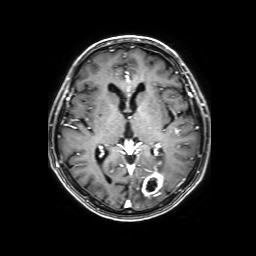
3 Tesla brain MRI.
Series: 3D T1-weighted with SENSE.
Study: ring-enhancing brain masses.